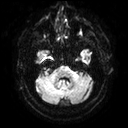
* modality · 3 Tesla brain MRI
* series · diffusion tensor imaging (medium iso)
* study · ring-enhancing brain masses